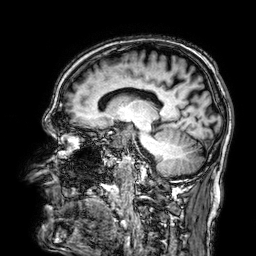
Q: What kind of scan is this?
A: 3 Tesla brain MRI.
Q: Series?
A: 3D T1-weighted.
Study: ring-enhancing brain masses.